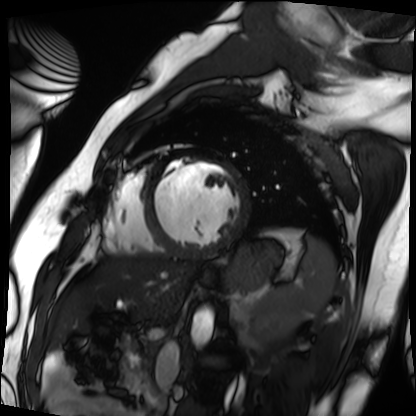
Cardiac MRI. Subject group: patient.